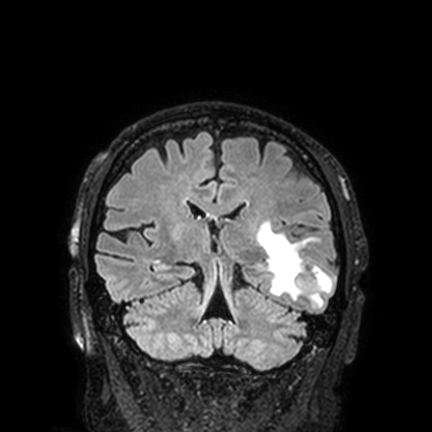
modality:
  type: brain MRI
  field_strength: 3T
series: FLAIR VISTA with SENSE
study_topic: ring-enhancing brain masses